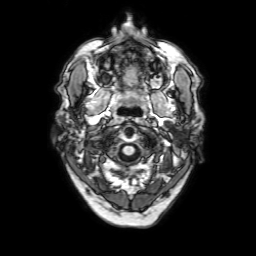
- modality: 3 Tesla brain MRI
- series: 3D T1-weighted with SENSE
- study: ring-enhancing brain masses